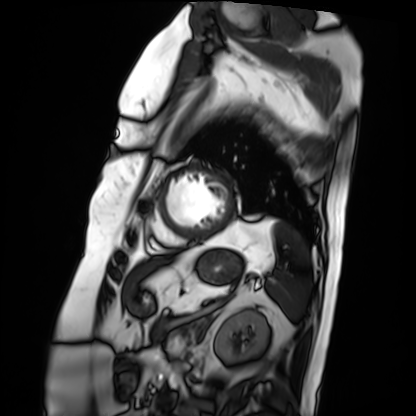
• modality: cardiac MRI
• subject group: patient